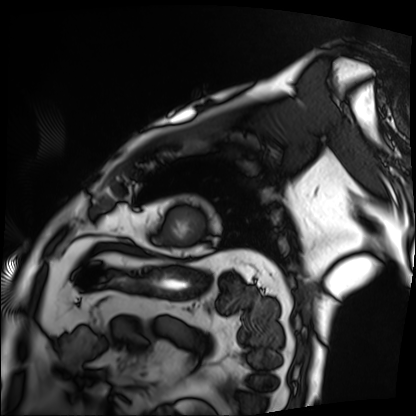
Cardiac MRI. Subject group: patient.